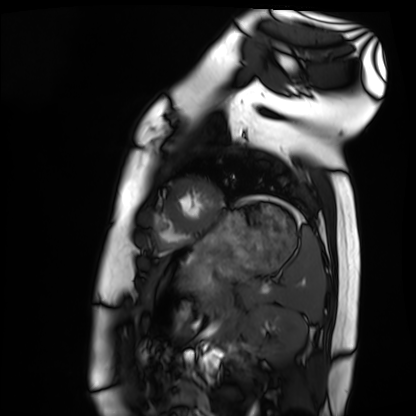
<record>
<modality>cardiac MRI</modality>
<cohort>healthy volunteer</cohort>
</record>